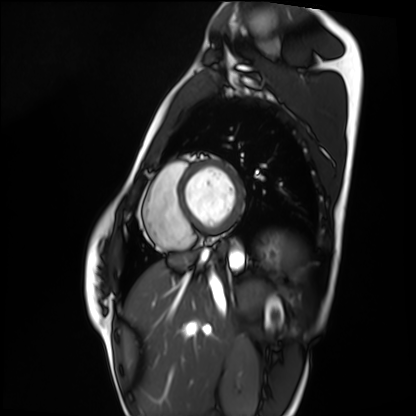
Cardiac MRI. Subject group: healthy volunteer.